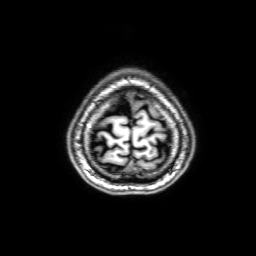
Case summary:
3 Tesla brain MRI. Series: 3D T1-weighted with SENSE. Study: ring-enhancing brain masses.